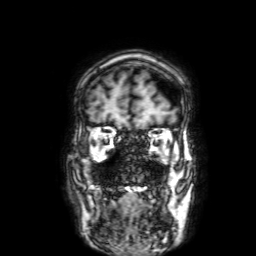
3 Tesla brain MRI.
Series: 3D T1-weighted with SENSE.
Study: ring-enhancing brain masses.